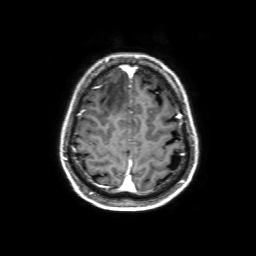
Clinical context:
3 Tesla brain MRI. Series: 3D T1-weighted with SENSE. Study: ring-enhancing brain masses.